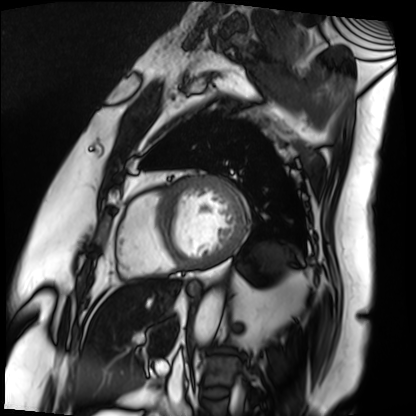
Cardiac MRI. Subject group: patient.